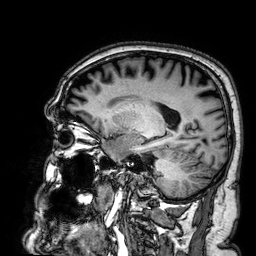
modality = 3 Tesla brain MRI
series = 3D T1-weighted
study = ring-enhancing brain masses